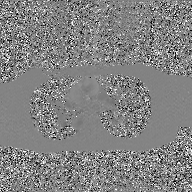
* modality — 2D phase-contrast cine MRI of the ascending aorta, GAN super-resolution reconstruction